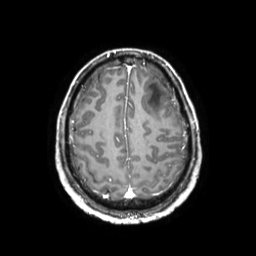
modality: 3 Tesla brain MRI
series: 3D T1-weighted TFE with SENSE
study: ring-enhancing brain masses